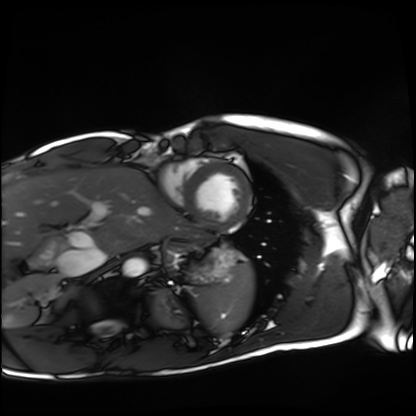
modality: cardiac MRI
cohort: healthy volunteer